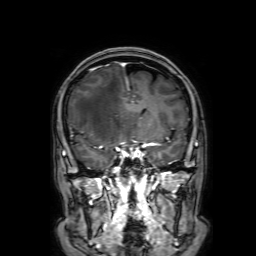
3 Tesla brain MRI.
Series: 3D T1-weighted with SENSE.
Study: ring-enhancing brain masses.